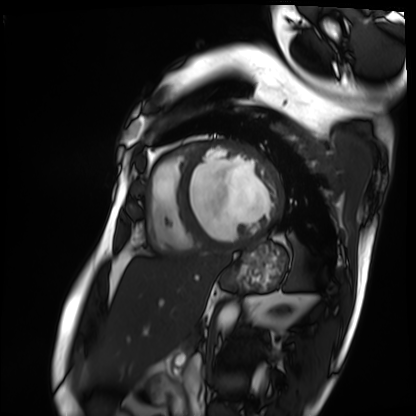
Summary:
Cardiac MRI. Subject group: patient.